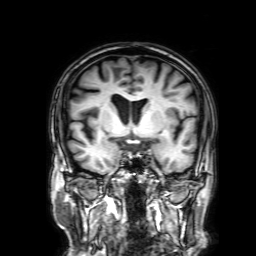
3 Tesla brain MRI. Series: 3D T1-weighted with SENSE. Study: ring-enhancing brain masses.